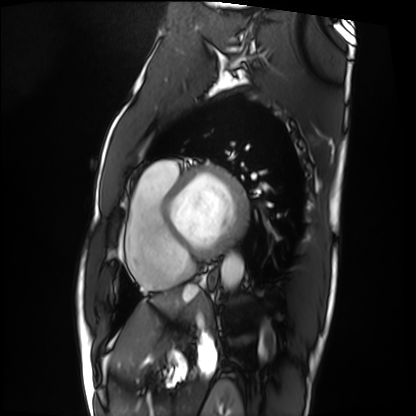
Cardiac MRI.
Subject group: patient.